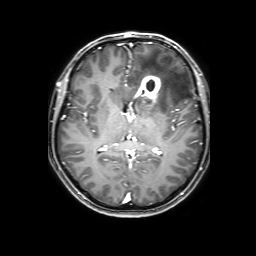
3 Tesla brain MRI.
Study: ring-enhancing brain masses.